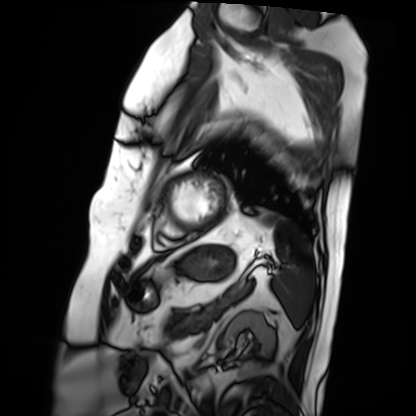
Cardiac MRI.
Subject group: patient.